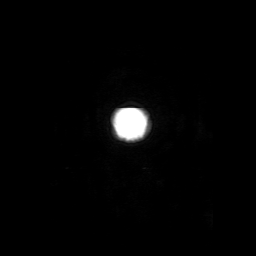
modality = 3 Tesla brain MRI
series = 3D T1-weighted with SENSE
study = ring-enhancing brain masses